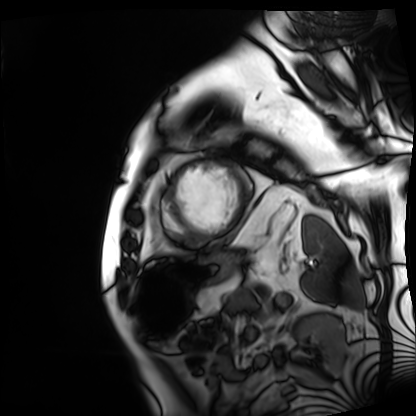
modality = cardiac MRI
subject group = patient